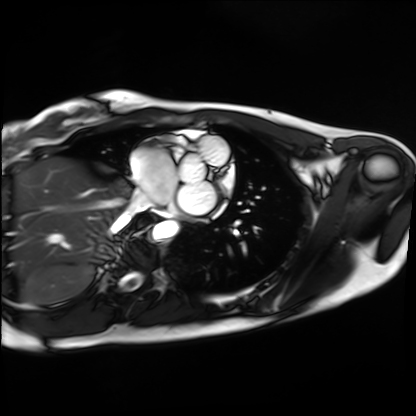
Case summary: Cardiac MRI. Subject group: healthy volunteer.